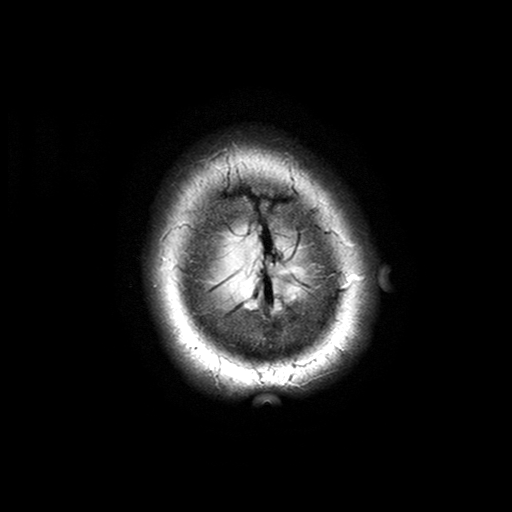
3 Tesla brain MRI. Series: T2-weighted turbo spin echo with SENSE. Study: ring-enhancing brain masses.